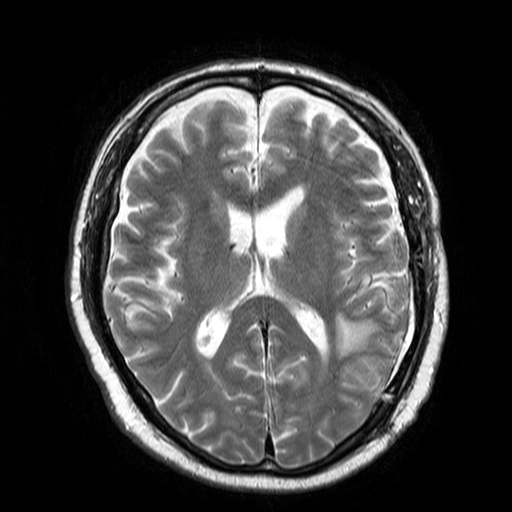
* modality · 3 Tesla brain MRI
* series · T2-weighted turbo spin echo
* study · ring-enhancing brain masses